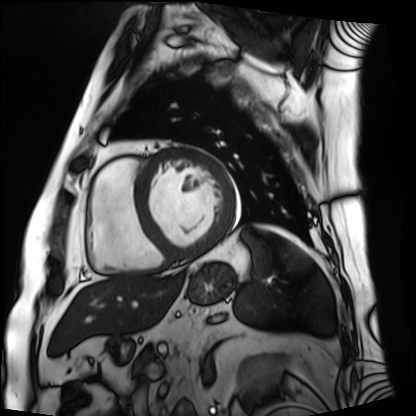
Summary: Cardiac MRI. Subject group: patient.